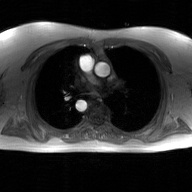
Clinical context: 2D phase-contrast cine MRI of the ascending aorta, GAN super-resolution reconstruction.